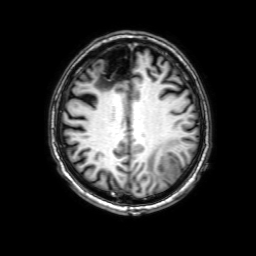
<case>
  <modality>
    <type>brain MRI</type>
    <field_strength>3T</field_strength>
  </modality>
  <series>3D T1-weighted with SENSE</series>
  <study_topic>ring-enhancing brain masses</study_topic>
</case>